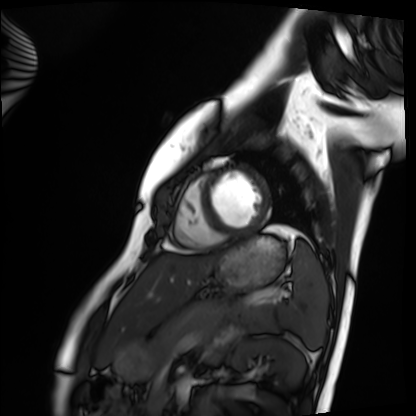
Q: What kind of scan is this?
A: Cardiac MRI.
Subject group: healthy volunteer.